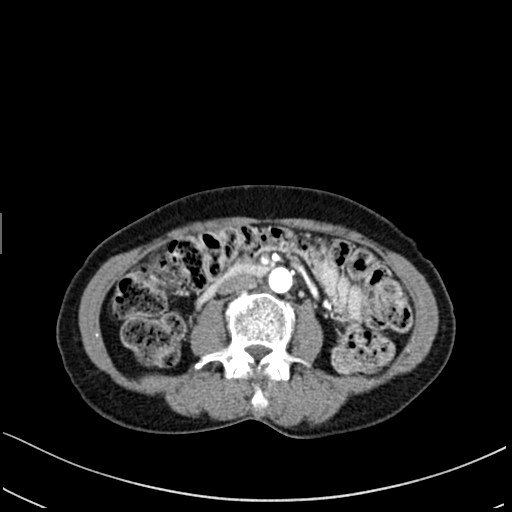
Case summary:
Multiphase abdominal CT, liver, arterial phase. Patient: female, age 58. History: prior chemotherapy.